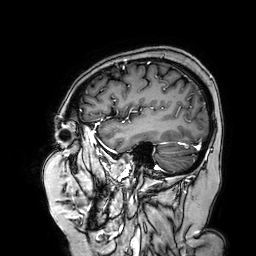
* modality: 3 Tesla brain MRI
* series: 3D T1-weighted turbo field echo with SENSE
* study: ring-enhancing brain masses